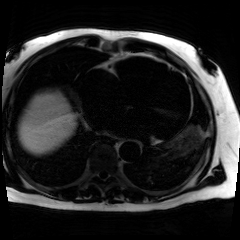
Q: What kind of scan is this?
A: Chemical-shift-encoded cardiac MRI.